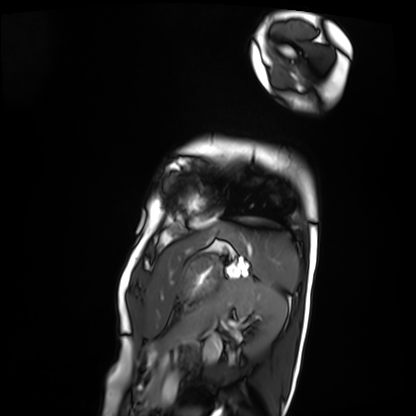
- modality · cardiac MRI
- subject group · patient